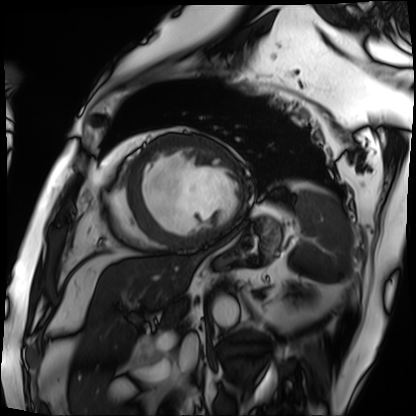
Q: What kind of scan is this?
A: Cardiac MRI.
Subject group: patient.